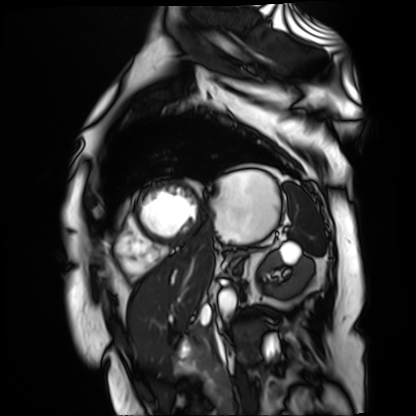
• modality — cardiac MR image of the myocardium
• subject cohort — cardiac patient